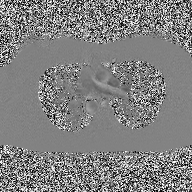
2D phase-contrast cine MRI of the ascending aorta, high-resolution GRAPPA acquisition.